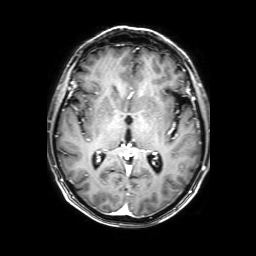
modality = 3 Tesla brain MRI; series = 3D T1-weighted with SENSE; study = ring-enhancing brain masses.